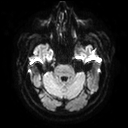
| field | value |
|---|---|
| modality | 3 Tesla brain MRI |
| series | diffusion tensor imaging (medium iso) |
| study | ring-enhancing brain masses |